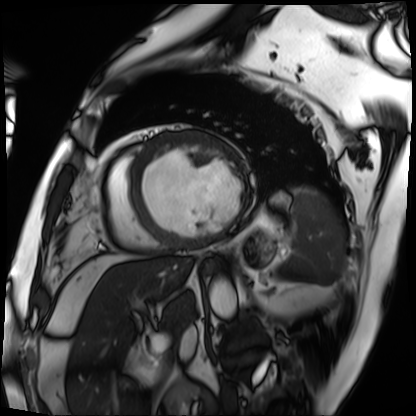
Cardiac MRI.
Subject group: patient.